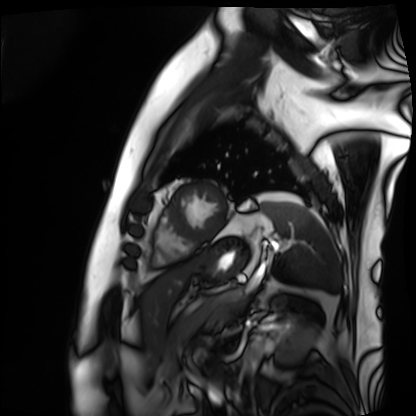
Cardiac MRI.
Subject group: patient.